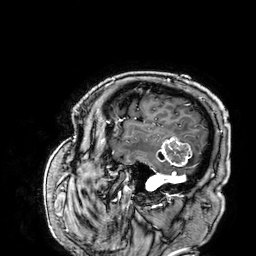
{
  "modality": {
    "type": "brain MRI",
    "field_strength": "3T"
  },
  "series": "3D T1-weighted",
  "study_topic": "ring-enhancing brain masses"
}